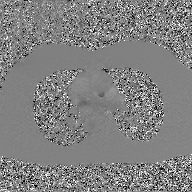
– modality — 2D phase-contrast cine MRI of the ascending aorta, GAN super-resolution reconstruction